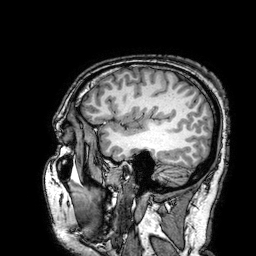
Q: What kind of scan is this?
A: 3 Tesla brain MRI.
Q: Series?
A: 3D T1-weighted turbo field echo with SENSE.
Study: ring-enhancing brain masses.